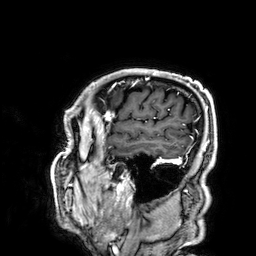
Summary: 3 Tesla brain MRI. Series: 3D T1-weighted. Study: ring-enhancing brain masses.